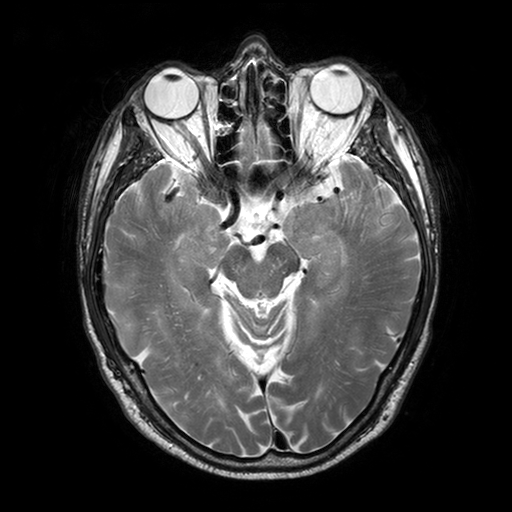
{"modality": {"type": "brain MRI", "field_strength": "3T"}, "series": "T2-weighted turbo spin echo with SENSE", "study_topic": "ring-enhancing brain masses"}